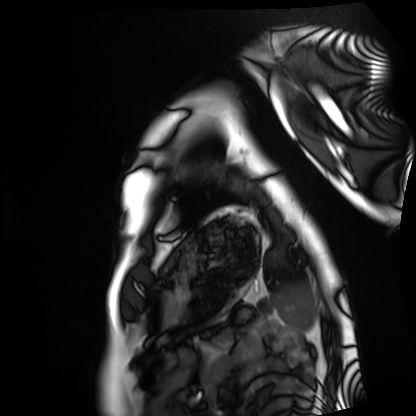
Cardiac MRI. Subject group: healthy volunteer.